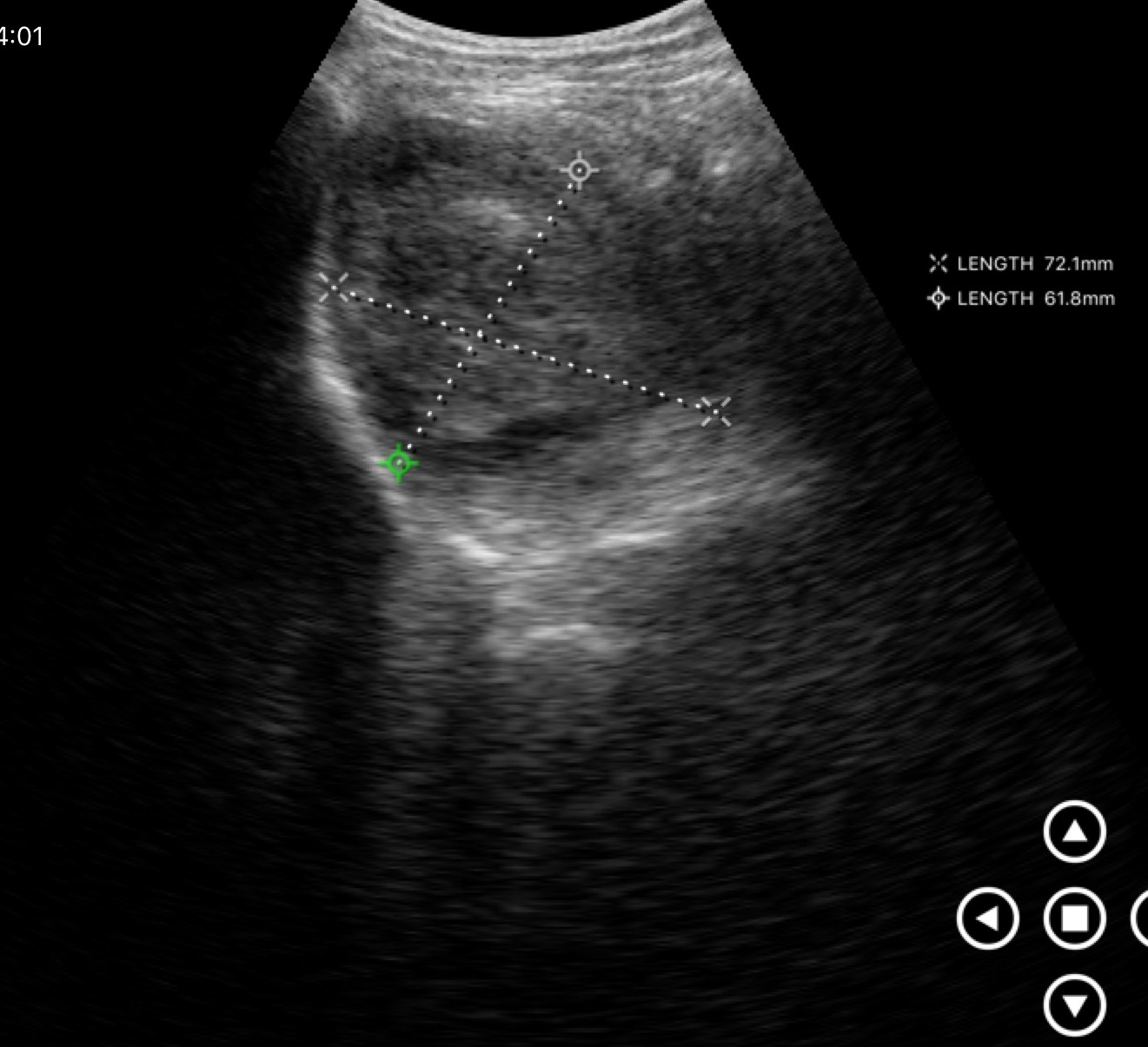
Genitourinary ultrasound.